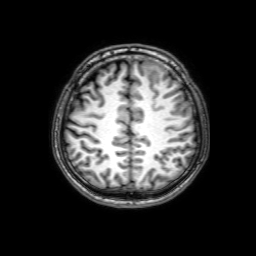
3 Tesla brain MRI.
Series: 3D T1-weighted with SENSE.
Study: ring-enhancing brain masses.